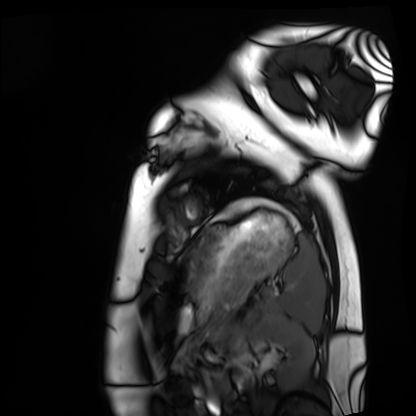
modality = cardiac MRI; subject group = healthy volunteer.